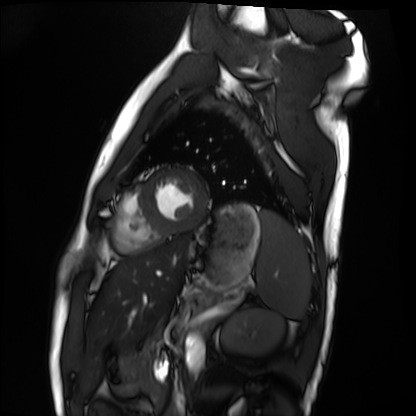
Case summary: Cardiac MRI. Subject group: healthy volunteer.